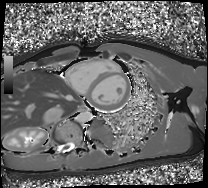
{
  "modality": "cardiac MRI",
  "cohort": "healthy volunteer"
}